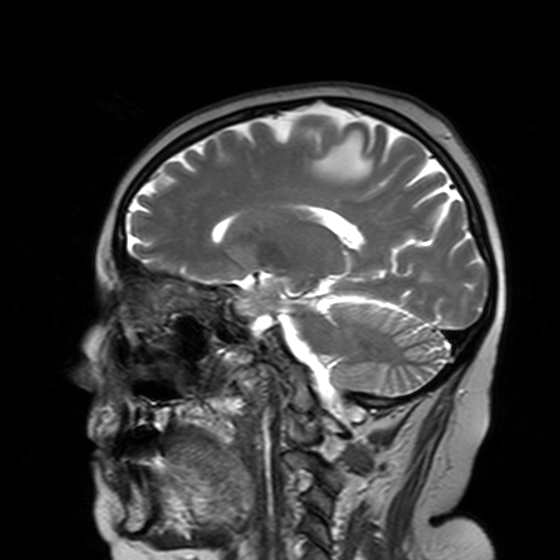
{"modality": {"type": "brain MRI", "field_strength": "3T"}, "series": "T2-weighted turbo spin echo with SENSE", "study_topic": "ring-enhancing brain masses"}